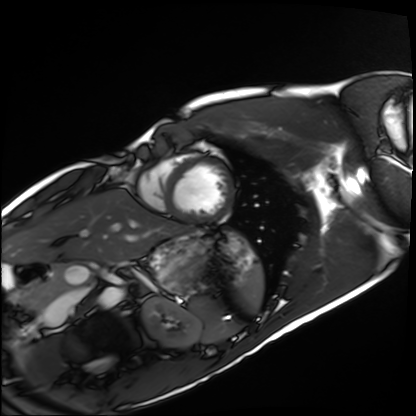
Cardiac MRI. Subject group: healthy volunteer.